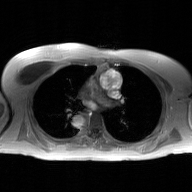
modality — 2D phase-contrast cine MRI of the ascending aorta, GAN super-resolution reconstruction.